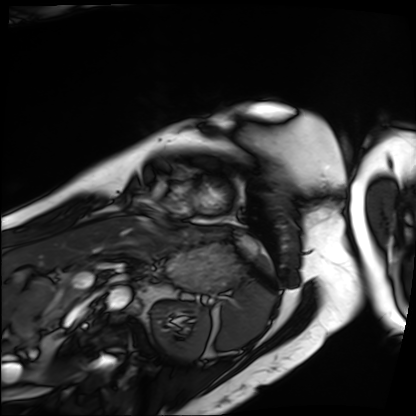
modality = cardiac MRI, subject group = patient.